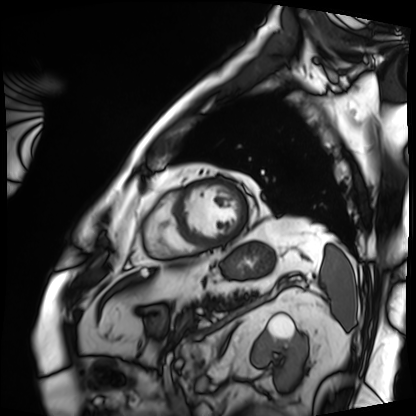
Cardiac MRI. Subject group: patient.